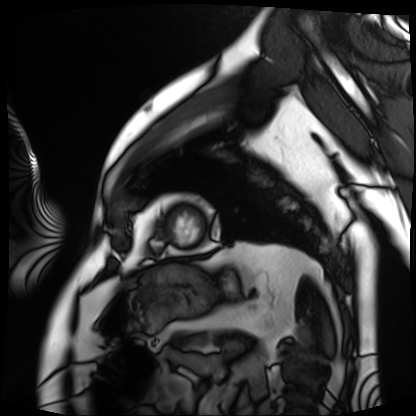
Cardiac MRI.
Subject group: patient.